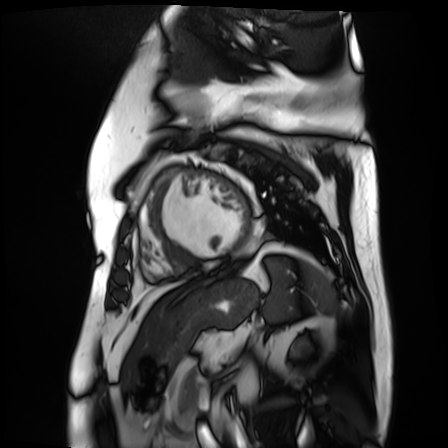
Cardiac MR image of the myocardium. Subject cohort: cardiac patient.